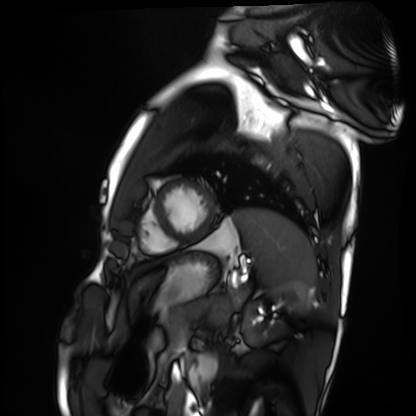
– modality — cardiac MRI
– subject group — healthy volunteer